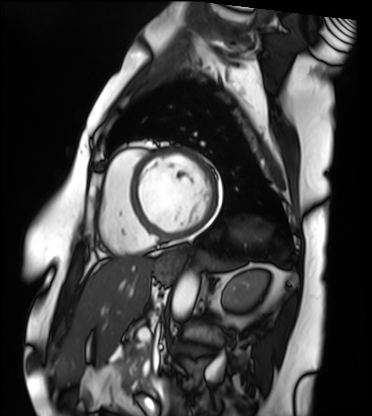
Case summary: Cardiac MRI. Subject group: patient.